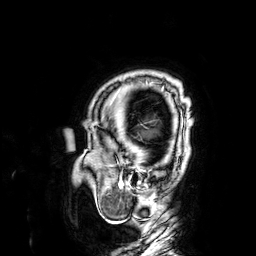
Case summary:
3 Tesla brain MRI. Series: 3D T1-weighted. Study: ring-enhancing brain masses.